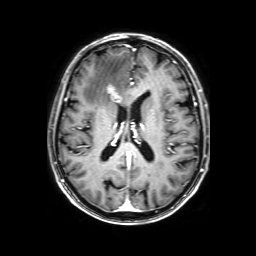
3 Tesla brain MRI. Series: 3D T1-weighted with SENSE. Study: ring-enhancing brain masses.